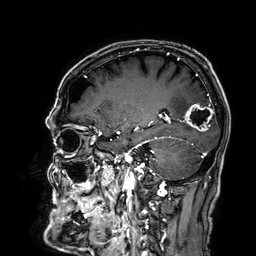
{
  "modality": {
    "type": "brain MRI",
    "field_strength": "3T"
  },
  "series": "3D T1-weighted",
  "study_topic": "ring-enhancing brain masses"
}